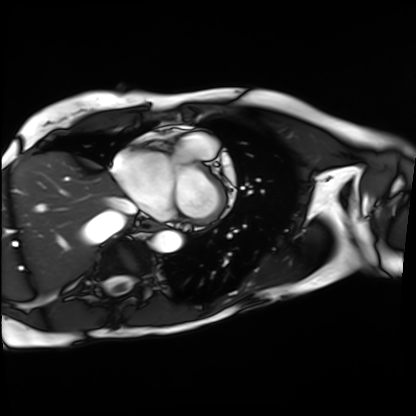
Q: What kind of scan is this?
A: Cardiac MRI.
Subject group: patient.